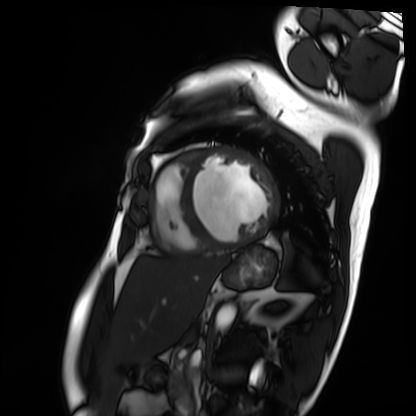
Cardiac MRI.
Subject group: patient.